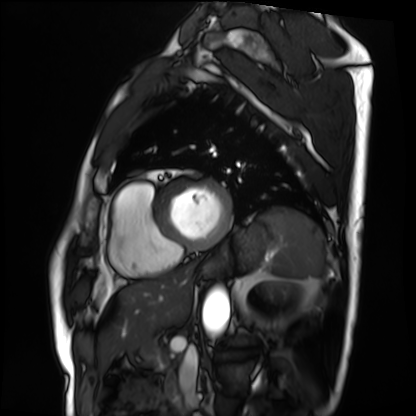
Cardiac MRI. Subject group: patient.